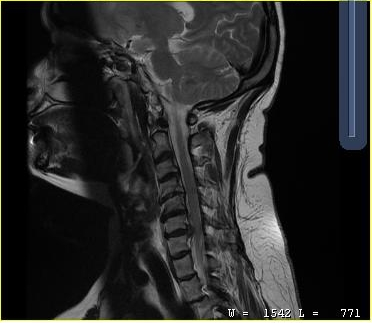
MRI of the cervical spine.
Study: cervical spondylosis.